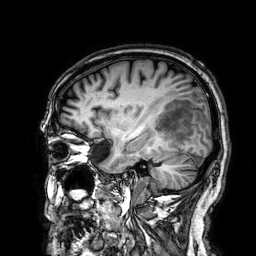
3 Tesla brain MRI.
Series: 3D T1-weighted.
Study: ring-enhancing brain masses.